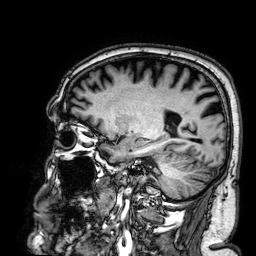
Case summary: 3 Tesla brain MRI. Series: 3D T1-weighted. Study: ring-enhancing brain masses.